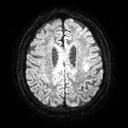
3 Tesla brain MRI. Series: diffusion tensor imaging (medium iso). Study: ring-enhancing brain masses.